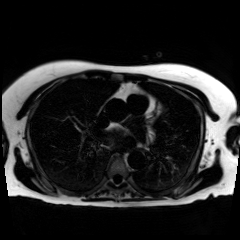
Chemical-shift-encoded cardiac MRI.